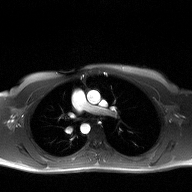
Q: What kind of scan is this?
A: 2D phase-contrast cine MRI of the ascending aorta.